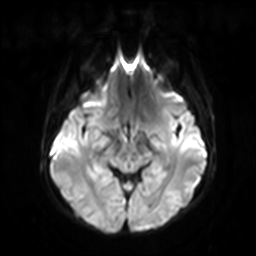
modality=3 Tesla brain MRI | series=diffusion-weighted imaging with SENSE (WIP) | study=ring-enhancing brain masses.